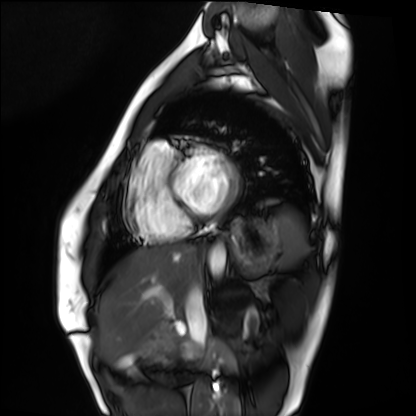
Summary: Cardiac MRI. Subject group: healthy volunteer.